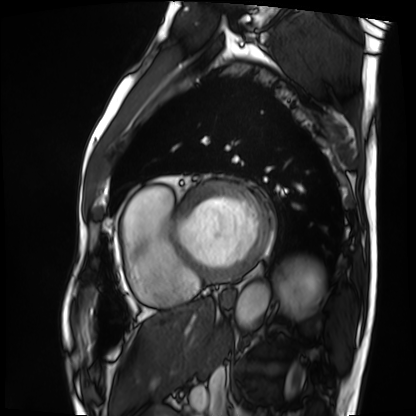
modality: cardiac MRI | subject group: patient.